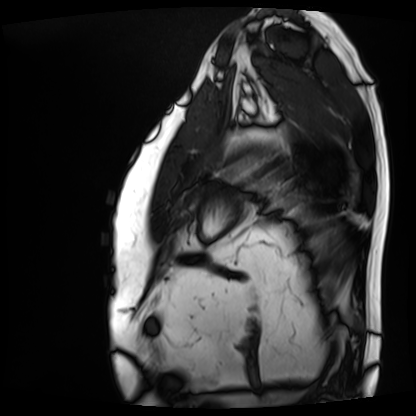
Cardiac MRI.
Subject group: patient.